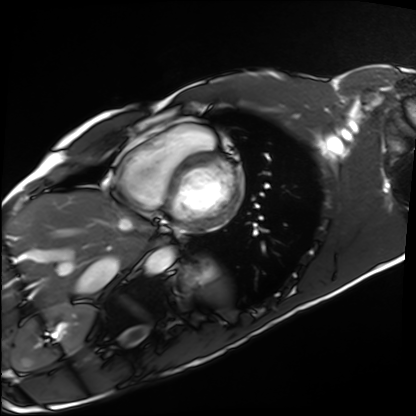
– modality — cardiac MRI
– subject group — healthy volunteer